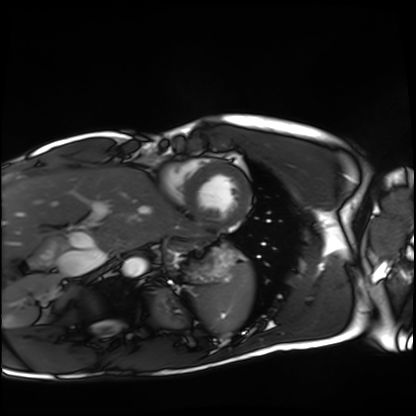
Case:
– modality: cardiac MRI
– subject group: healthy volunteer